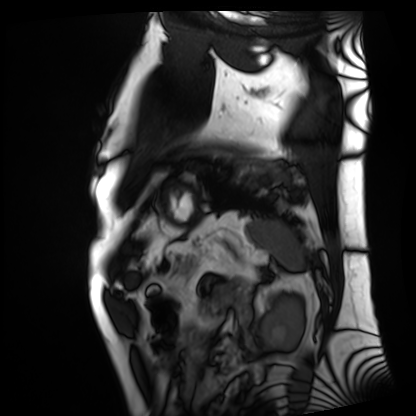
Clinical context:
Cardiac MRI. Subject group: patient.